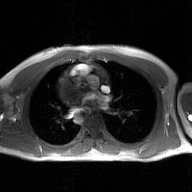
Summary:
2D phase-contrast cine MRI of the ascending aorta, GAN super-resolution reconstruction.